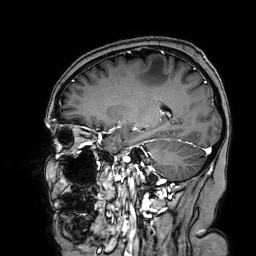
* modality — 3 Tesla brain MRI
* series — 3D T1-weighted turbo field echo with SENSE
* study — ring-enhancing brain masses